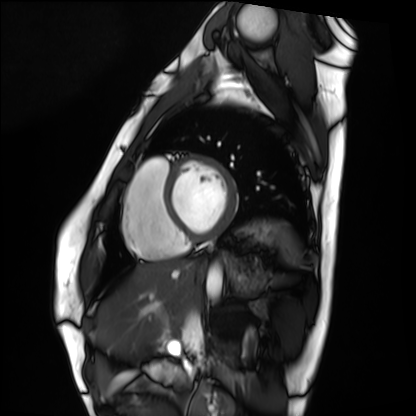
Cardiac MRI.
Subject group: healthy volunteer.